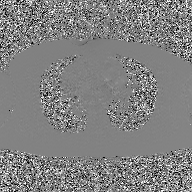
2D phase-contrast cine MRI of the ascending aorta, GAN super-resolution reconstruction.